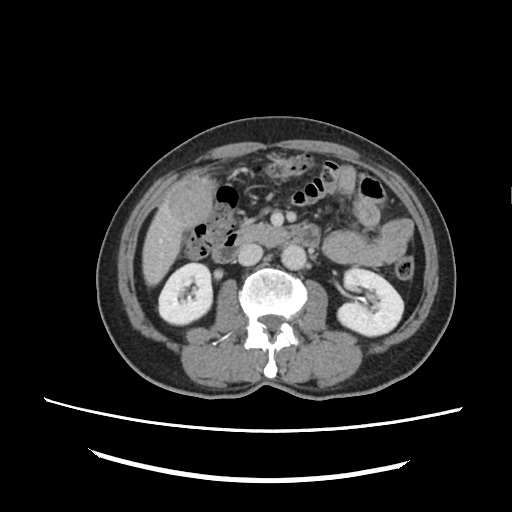
Q: What kind of scan is this?
A: Multiphase abdominal CT, liver, delayed phase.
Q: Patient?
A: Male, age 72.